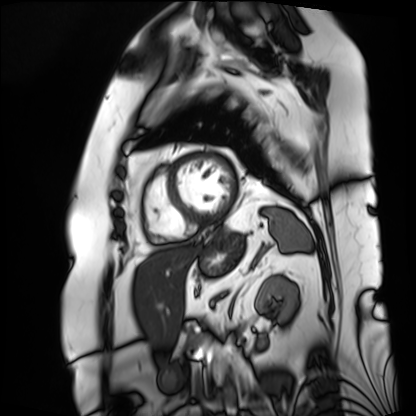
* modality — cardiac MRI
* subject group — patient